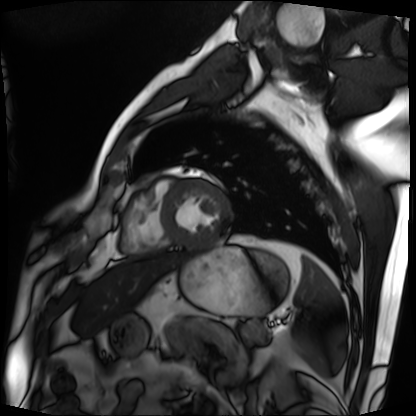
<study>
  <modality>cardiac MRI</modality>
  <cohort>patient</cohort>
</study>